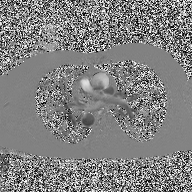
Summary: 2D phase-contrast cine MRI of the ascending aorta, high-resolution GRAPPA acquisition.